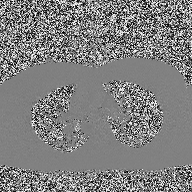
Clinical context: 2D phase-contrast cine MRI of the ascending aorta, high-resolution GRAPPA acquisition.